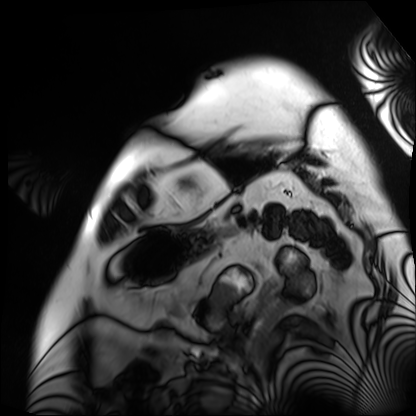
modality: cardiac MRI; subject group: patient.